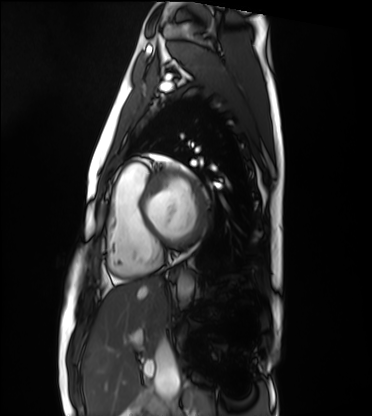
modality: cardiac MRI, subject group: healthy volunteer.